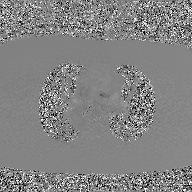
* modality — 2D phase-contrast cine MRI of the ascending aorta, GAN super-resolution reconstruction